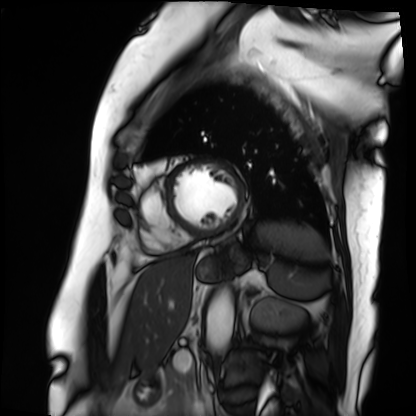
Case summary: Cardiac MRI. Subject group: patient.